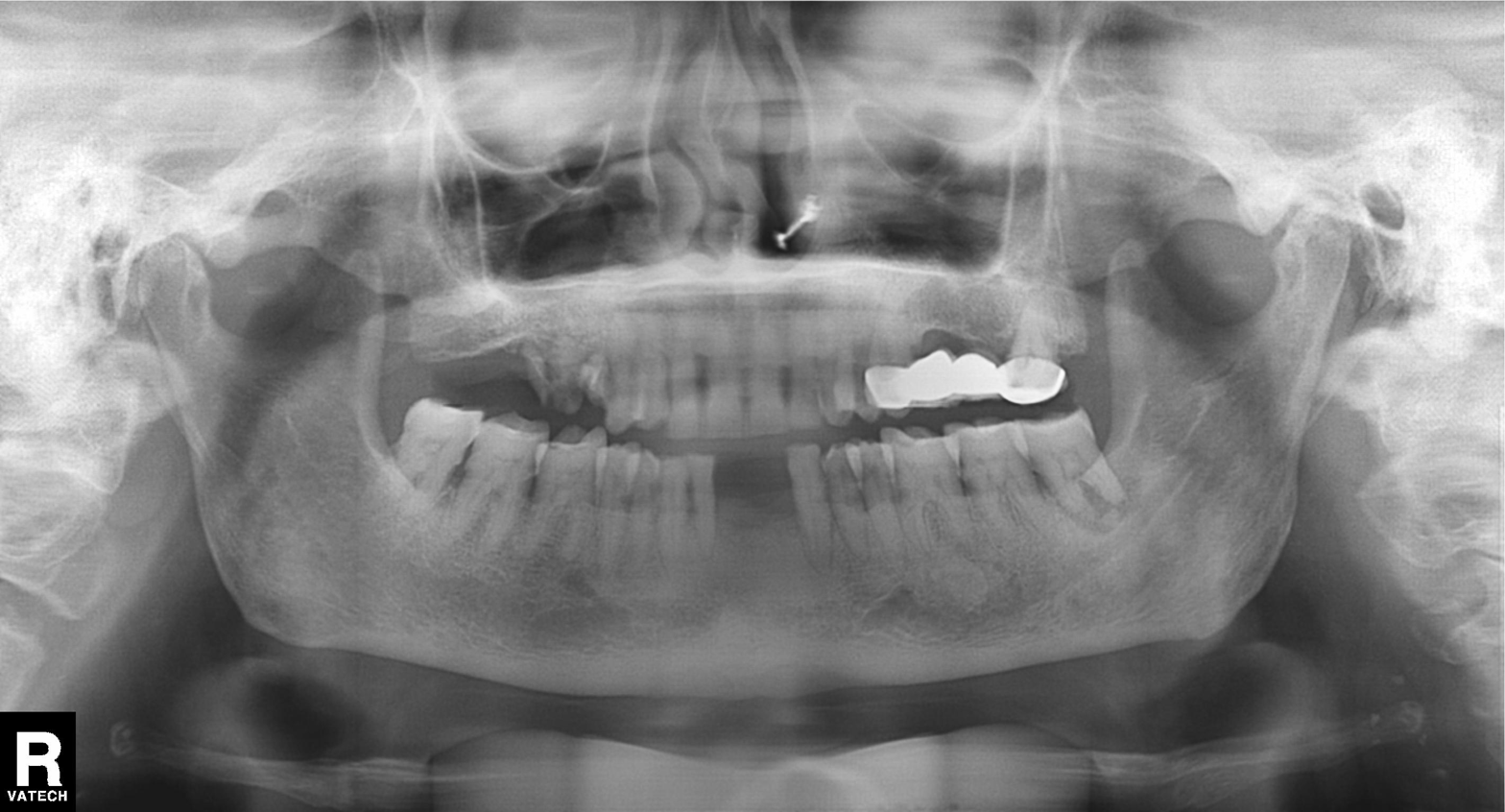
Panoramic dental radiograph (orthopantomogram). Finding: alveolar bone loss.